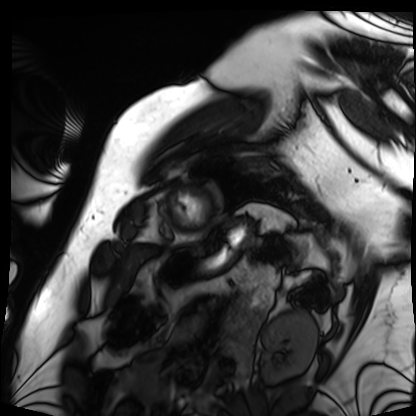
Summary: Cardiac MRI. Subject group: patient.